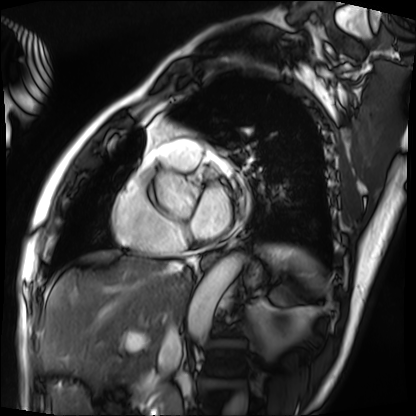
Cardiac MRI.
Subject group: patient.